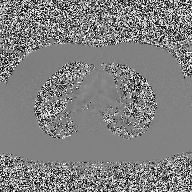
2D phase-contrast cine MRI of the ascending aorta, high-resolution GRAPPA acquisition.